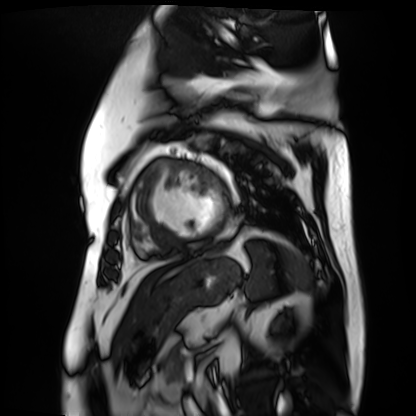
Cardiac MR image of the myocardium. Subject cohort: cardiac patient.